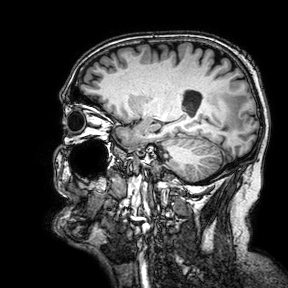
3 Tesla brain MRI. Series: 3D T1-weighted turbo field echo with SENSE. Study: ring-enhancing brain masses.